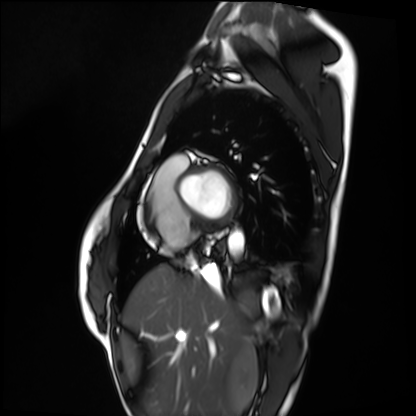
Clinical context:
Cardiac MRI. Subject group: healthy volunteer.